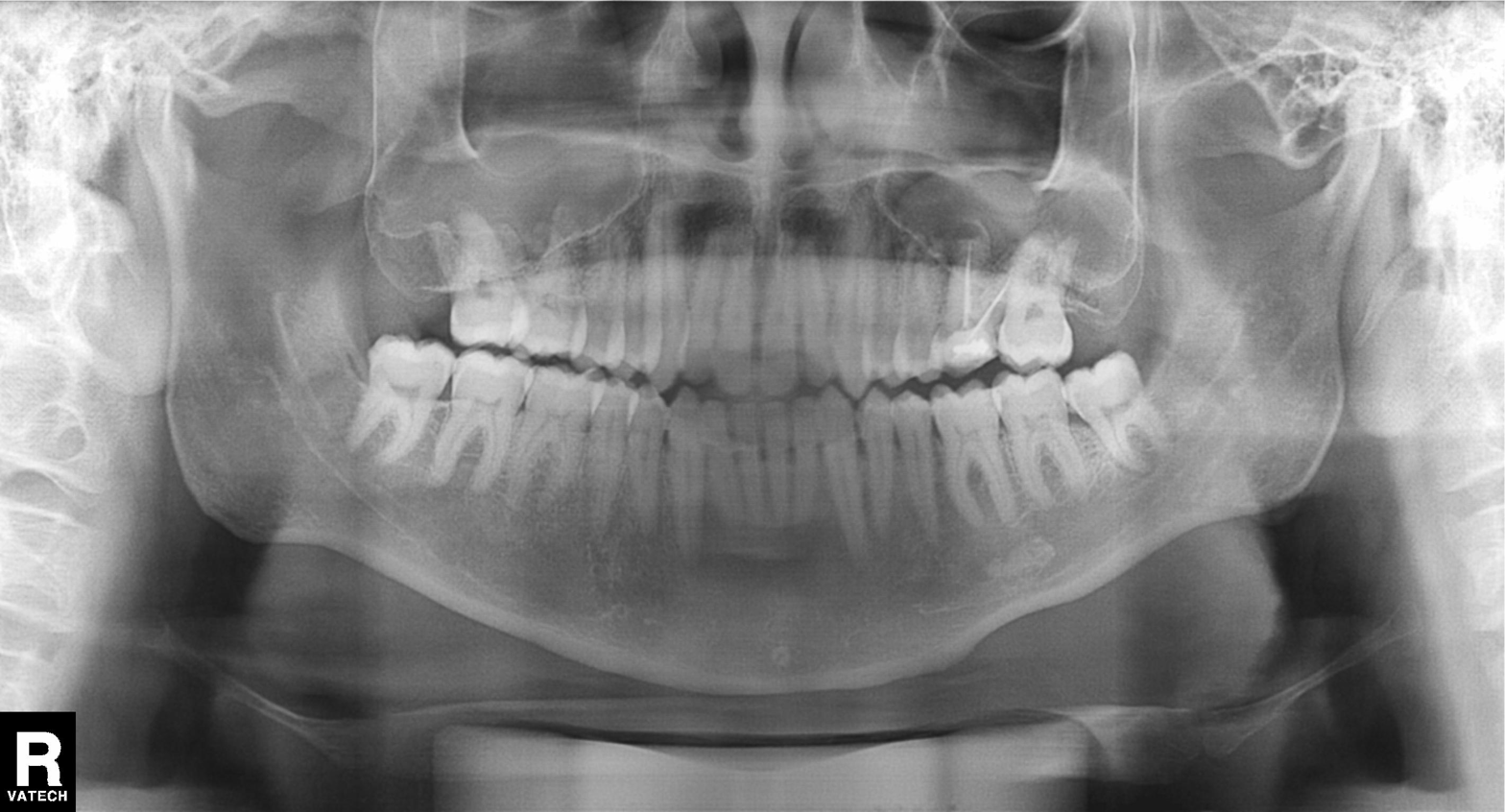
Panoramic dental radiograph (orthopantomogram). Finding: alveolar bone loss.